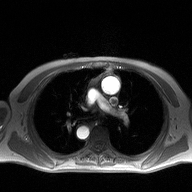
Summary:
2D phase-contrast cine MRI of the ascending aorta, high-resolution GRAPPA acquisition.